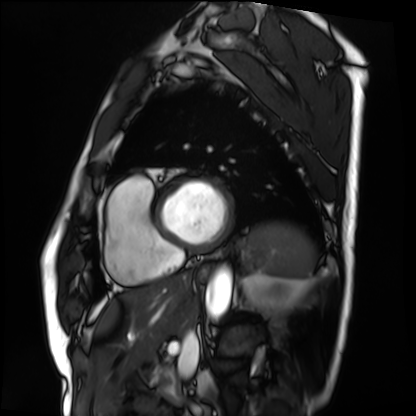
Q: What kind of scan is this?
A: Cardiac MRI.
Subject group: patient.